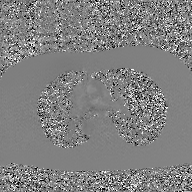
modality: 2D phase-contrast cine MRI of the ascending aorta, GAN super-resolution reconstruction.